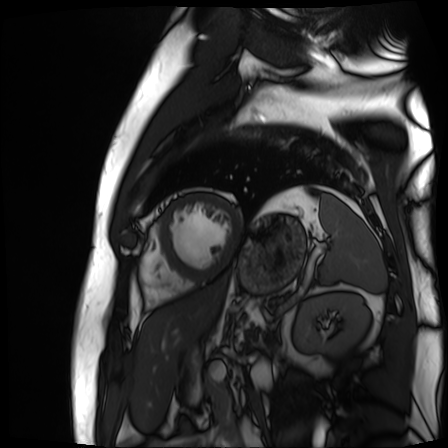
Cardiac MR image of the myocardium.
Subject cohort: cardiac patient.